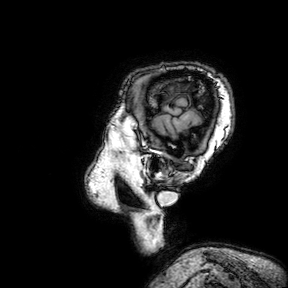
3 Tesla brain MRI.
Series: 3D T1-weighted turbo field echo with SENSE.
Study: ring-enhancing brain masses.